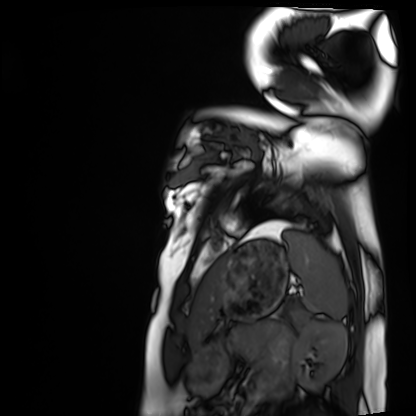
Summary:
Cardiac MRI. Subject group: healthy volunteer.